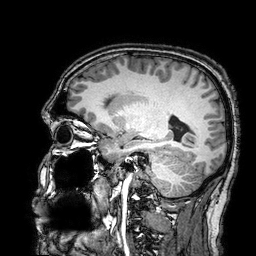
Case summary:
3 Tesla brain MRI. Series: 3D T1-weighted turbo field echo with SENSE. Study: ring-enhancing brain masses.